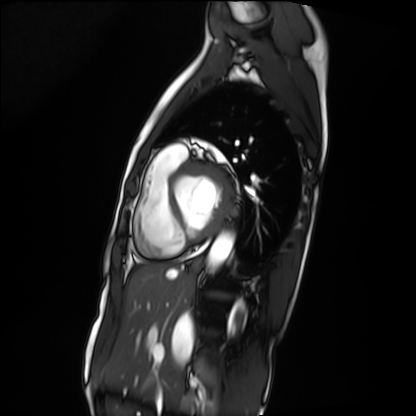
Cardiac MRI.
Subject group: patient.